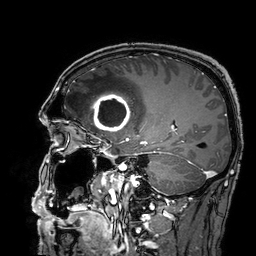
* modality — 3 Tesla brain MRI
* series — 3D T1-weighted turbo field echo with SENSE
* study — ring-enhancing brain masses